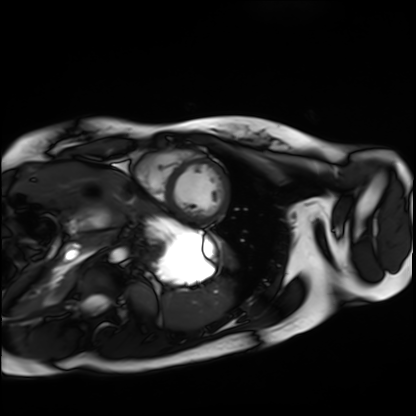
Cardiac MRI.
Subject group: healthy volunteer.